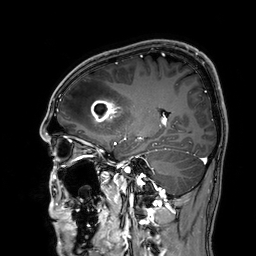
3 Tesla brain MRI.
Series: 3D T1-weighted.
Study: ring-enhancing brain masses.